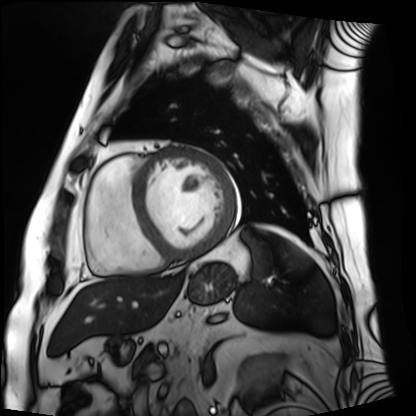
modality = cardiac MRI; subject group = patient.